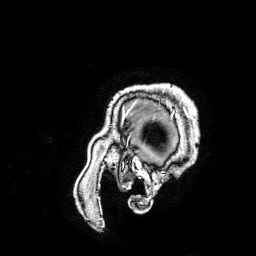
3 Tesla brain MRI. Study: ring-enhancing brain masses.